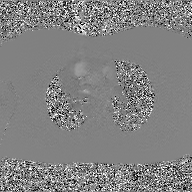
Clinical context:
2D phase-contrast cine MRI of the ascending aorta, GAN super-resolution reconstruction.